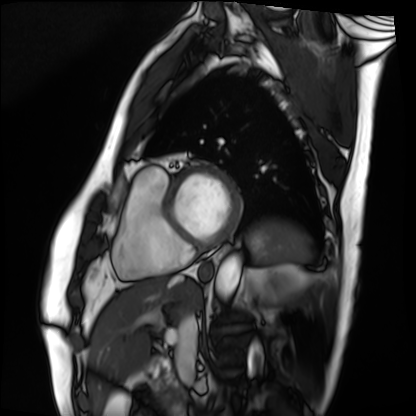
modality: cardiac MRI | subject group: patient.